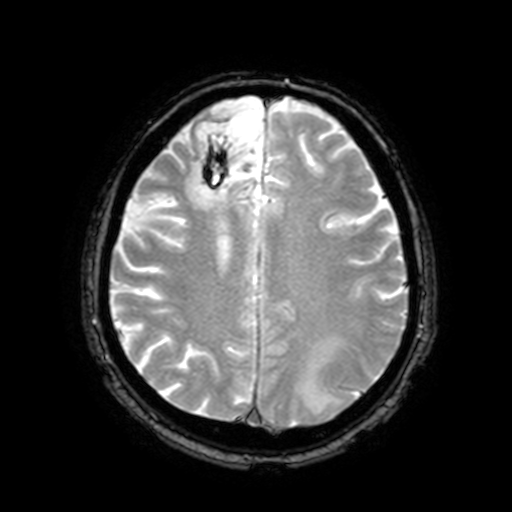
Case:
* modality · 3 Tesla brain MRI
* series · T2-weighted fast field echo with SENSE
* study · ring-enhancing brain masses